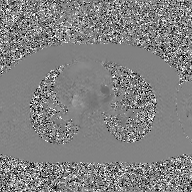
Summary: 2D phase-contrast cine MRI of the ascending aorta, GAN super-resolution reconstruction.